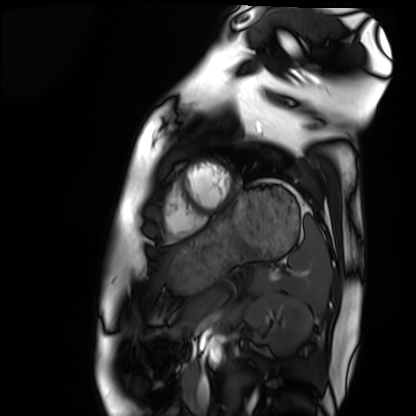
Cardiac MRI.
Subject group: healthy volunteer.